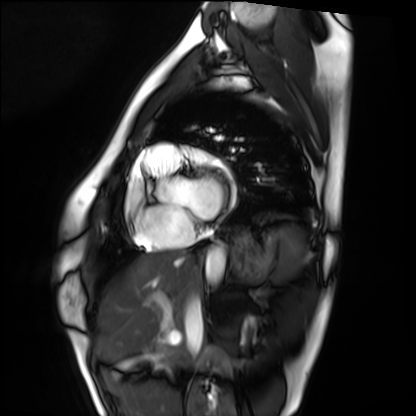
Summary: Cardiac MRI. Subject group: healthy volunteer.